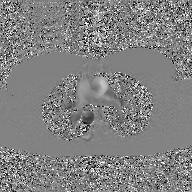
Clinical context: 2D phase-contrast cine MRI of the ascending aorta, GAN super-resolution reconstruction.